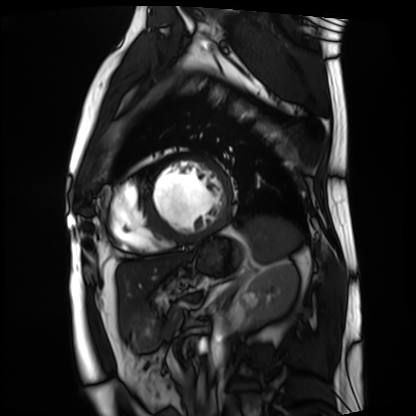
Cardiac MRI. Subject group: patient.